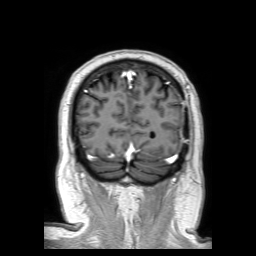
Summary: 3 Tesla brain MRI. Series: 3D T1-weighted TFE with SENSE. Study: ring-enhancing brain masses.